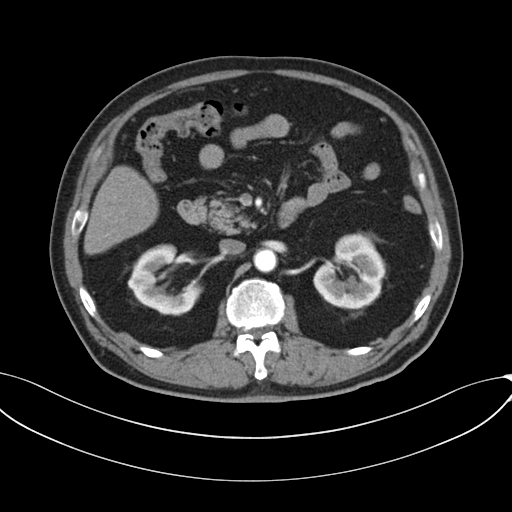
modality:
  type: multiphase abdominal CT
  region: liver
  phase: arterial
patient:
  sex: male
  age: 69